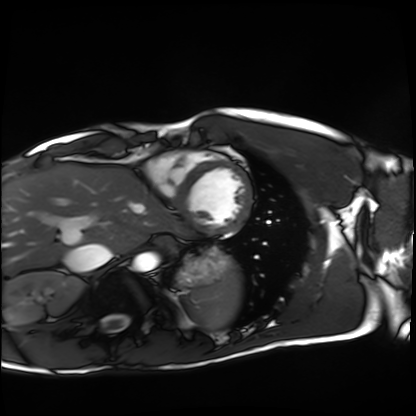
{
  "modality": "cardiac MRI",
  "cohort": "healthy volunteer"
}